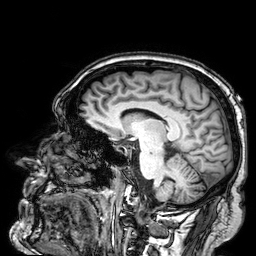
3 Tesla brain MRI. Series: 3D T1-weighted. Study: ring-enhancing brain masses.